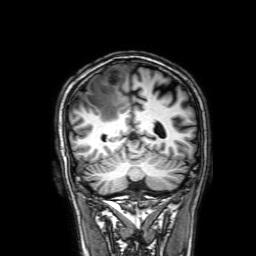
modality: 3 Tesla brain MRI; series: 3D T1-weighted with SENSE; study: ring-enhancing brain masses.